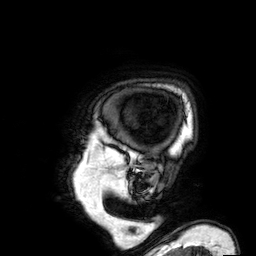
Q: What kind of scan is this?
A: 3 Tesla brain MRI.
Study: ring-enhancing brain masses.